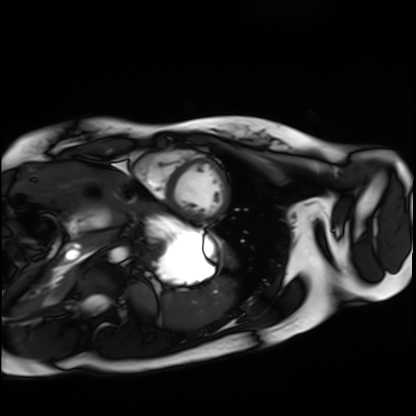
Q: What kind of scan is this?
A: Cardiac MRI.
Subject group: healthy volunteer.